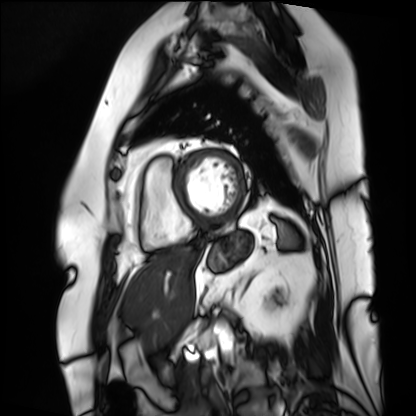
Case summary: Cardiac MRI. Subject group: patient.